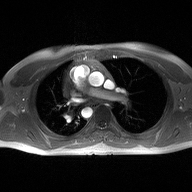
Summary:
2D phase-contrast cine MRI of the ascending aorta, high-resolution GRAPPA acquisition.